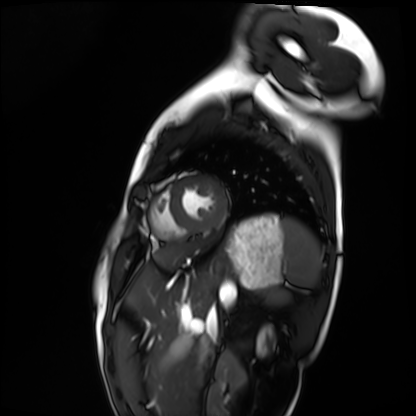
Cardiac MRI. Subject group: healthy volunteer.